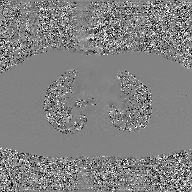
Clinical context: 2D phase-contrast cine MRI of the ascending aorta, GAN super-resolution reconstruction.